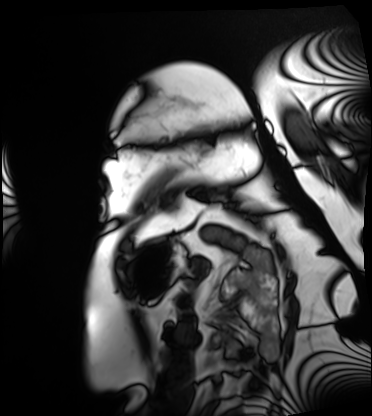
– modality — cardiac MRI
– subject group — patient